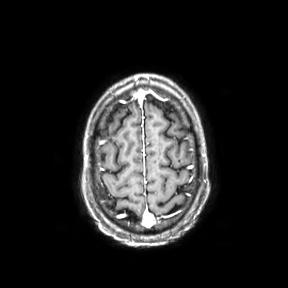
3 Tesla brain MRI. Series: axial. Study: ring-enhancing brain masses.